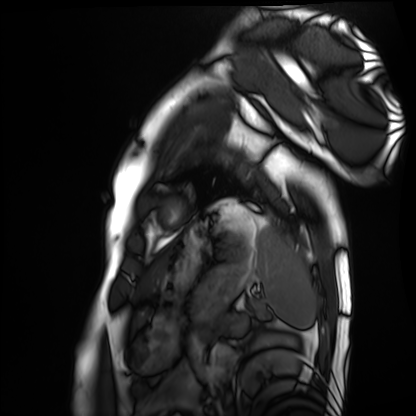
Q: What kind of scan is this?
A: Cardiac MRI.
Subject group: healthy volunteer.